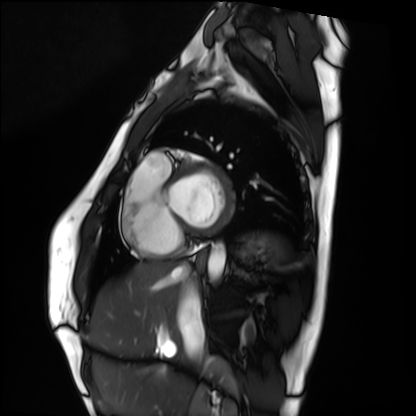
Summary: Cardiac MRI. Subject group: healthy volunteer.